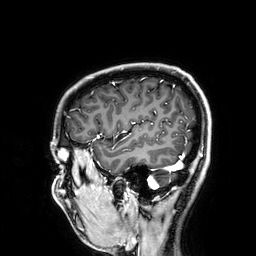
modality=3 Tesla brain MRI
series=3D T1-weighted
study=ring-enhancing brain masses